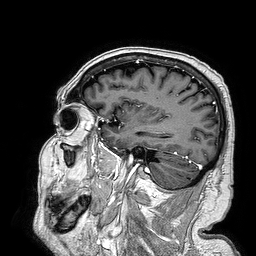
Case summary:
3 Tesla brain MRI. Series: 3D T1-weighted turbo field echo. Study: ring-enhancing brain masses.